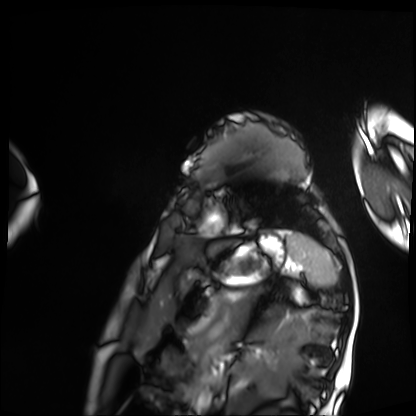
Cardiac MRI. Subject group: patient.